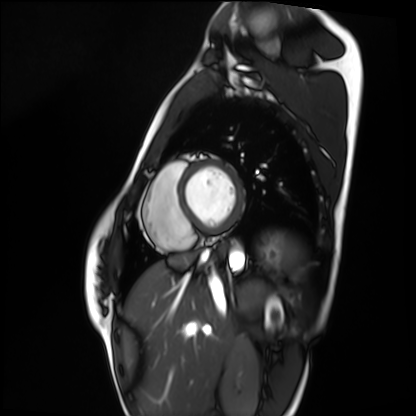
modality: cardiac MRI; subject group: healthy volunteer.